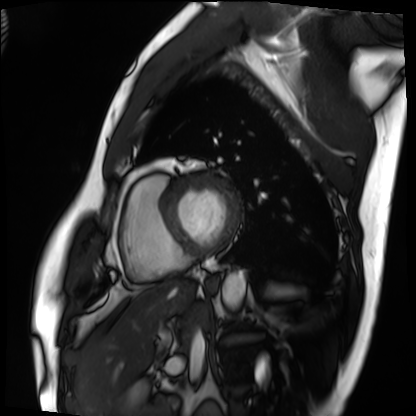
Cardiac MRI. Subject group: patient.